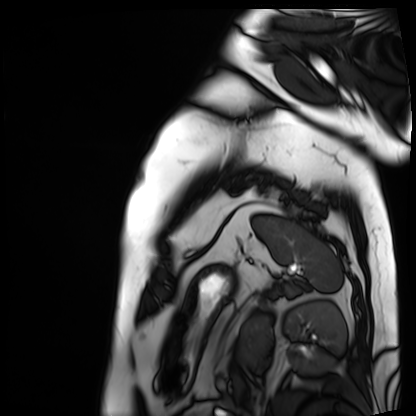
Case summary: Cardiac MRI. Subject group: patient.